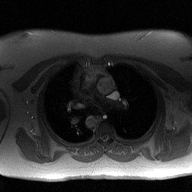
Summary: 2D phase-contrast cine MRI of the ascending aorta, high-resolution GRAPPA acquisition.